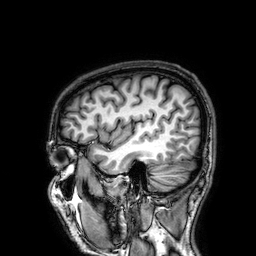
Summary: 3 Tesla brain MRI. Series: 3D T1-weighted. Study: ring-enhancing brain masses.